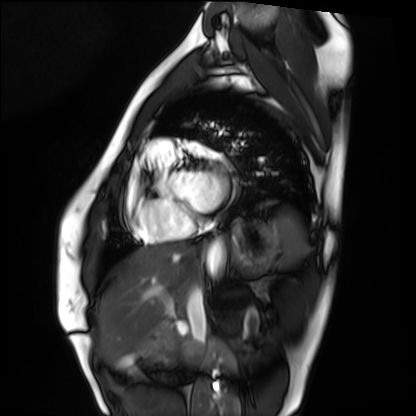
Q: What kind of scan is this?
A: Cardiac MRI.
Subject group: healthy volunteer.